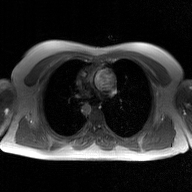
modality: 2D phase-contrast cine MRI of the ascending aorta, GAN super-resolution reconstruction.